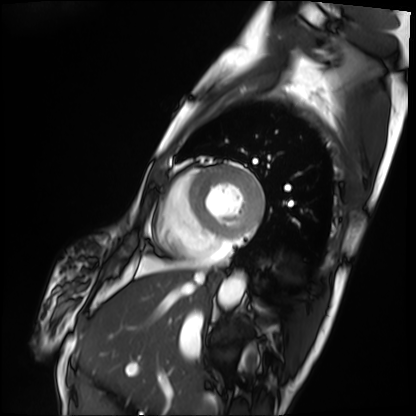
Summary:
Cardiac MRI. Subject group: patient.